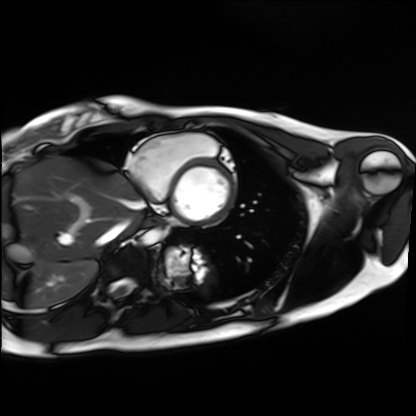
Cardiac MRI.
Subject group: healthy volunteer.